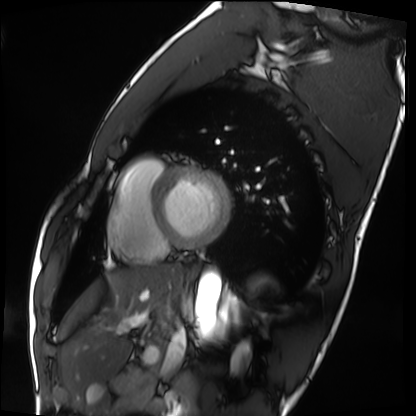
Cardiac MRI. Subject group: healthy volunteer.